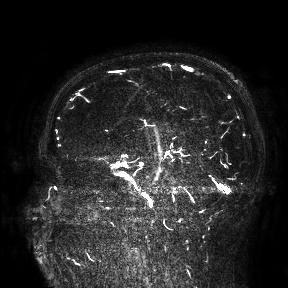
Q: What kind of scan is this?
A: 3 Tesla brain MRI.
Study: ring-enhancing brain masses.